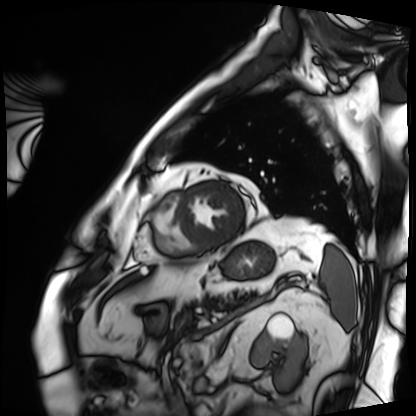
Cardiac MRI. Subject group: patient.